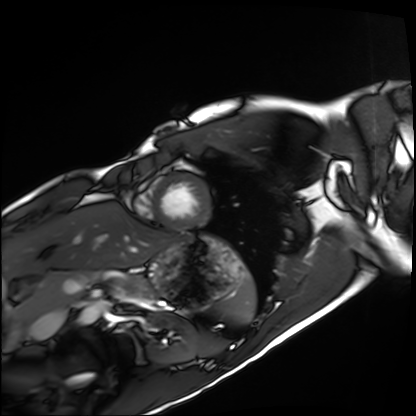
Cardiac MRI.
Subject group: healthy volunteer.